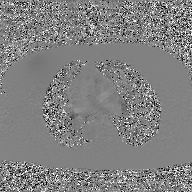
Q: What kind of scan is this?
A: 2D phase-contrast cine MRI of the ascending aorta, GAN super-resolution reconstruction.